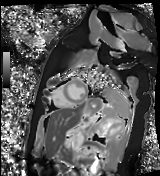
{
  "modality": "cardiac MR image of the myocardium",
  "cohort": "healthy volunteer"
}